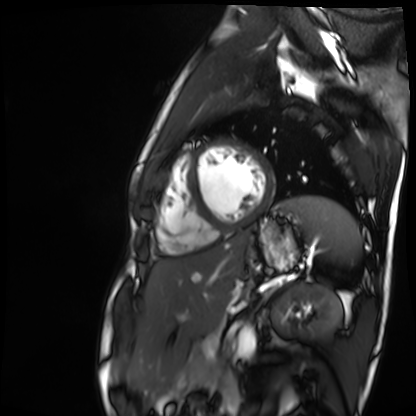
modality = cardiac MR image of the myocardium | subject cohort = healthy volunteer.